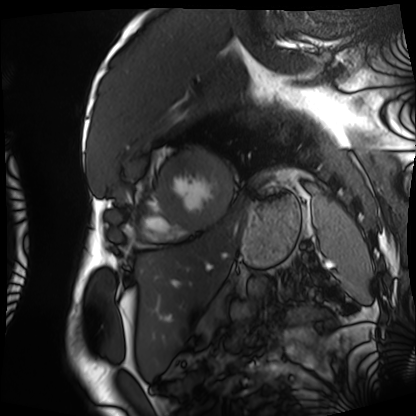
Cardiac MRI. Subject group: patient.